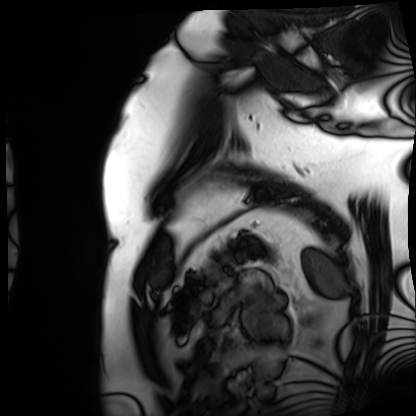
Case summary:
Cardiac MRI. Subject group: patient.